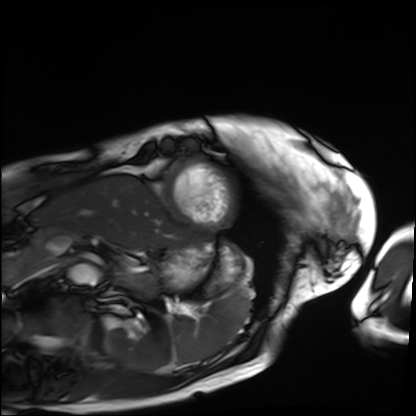
Q: What kind of scan is this?
A: Cardiac MRI.
Subject group: patient.